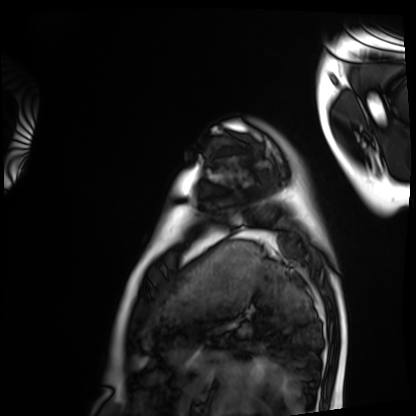
Summary:
Cardiac MRI. Subject group: healthy volunteer.